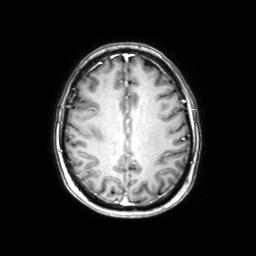
Q: What kind of scan is this?
A: 3 Tesla brain MRI.
Q: Series?
A: Axial with contrast.
Study: ring-enhancing brain masses.